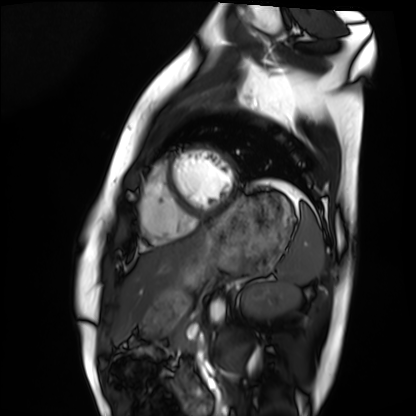
modality: cardiac MRI; subject group: healthy volunteer.